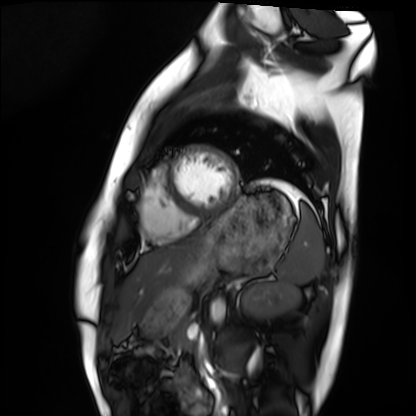
modality = cardiac MRI | subject group = healthy volunteer.